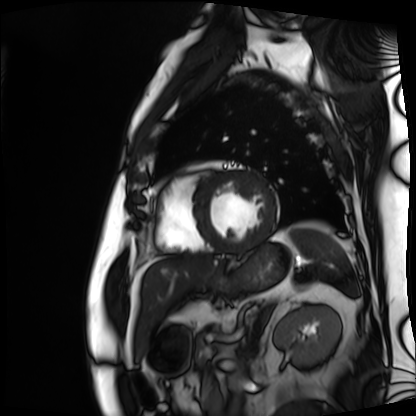
Cardiac MRI. Subject group: patient.